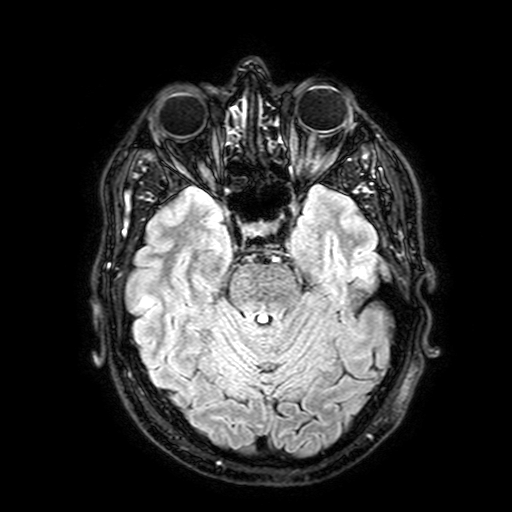
3 Tesla brain MRI. Study: ring-enhancing brain masses.